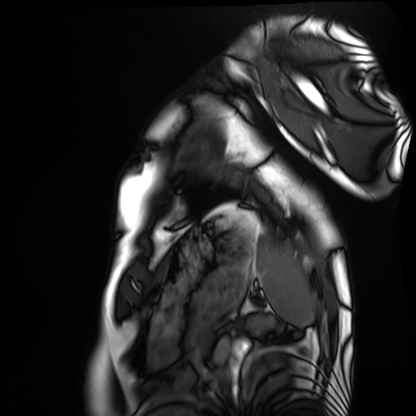
| field | value |
|---|---|
| modality | cardiac MRI |
| subject group | healthy volunteer |